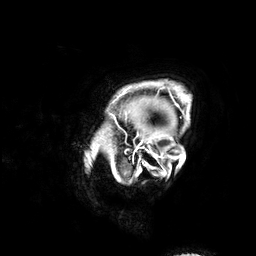
Q: What kind of scan is this?
A: 3 Tesla brain MRI.
Study: ring-enhancing brain masses.